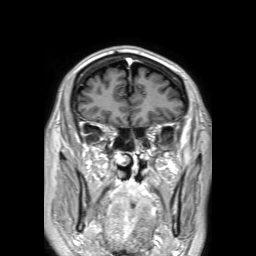
Case:
• modality · 3 Tesla brain MRI
• series · 3D T1-weighted TFE with SENSE
• study · ring-enhancing brain masses